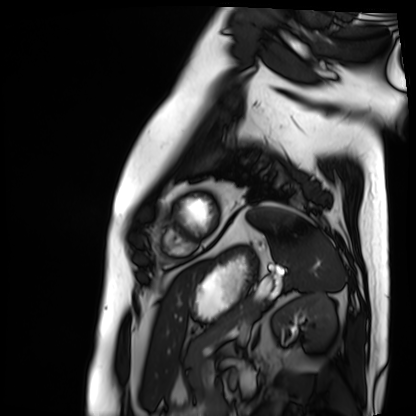
Cardiac MRI. Subject group: patient.